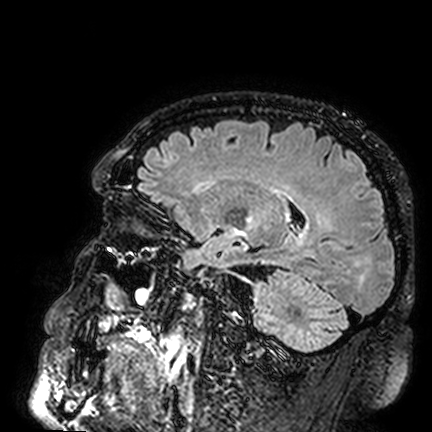
modality = 3 Tesla brain MRI | series = FLAIR VISTA | study = ring-enhancing brain masses.